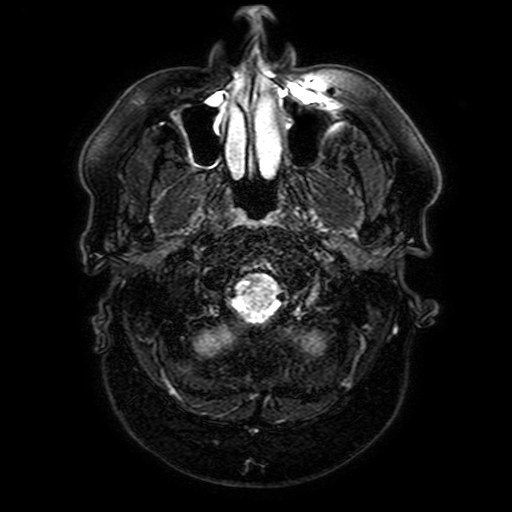
Clinical context:
3 Tesla brain MRI. Series: FLAIR with SPAIR, 3 mm. Study: ring-enhancing brain masses.